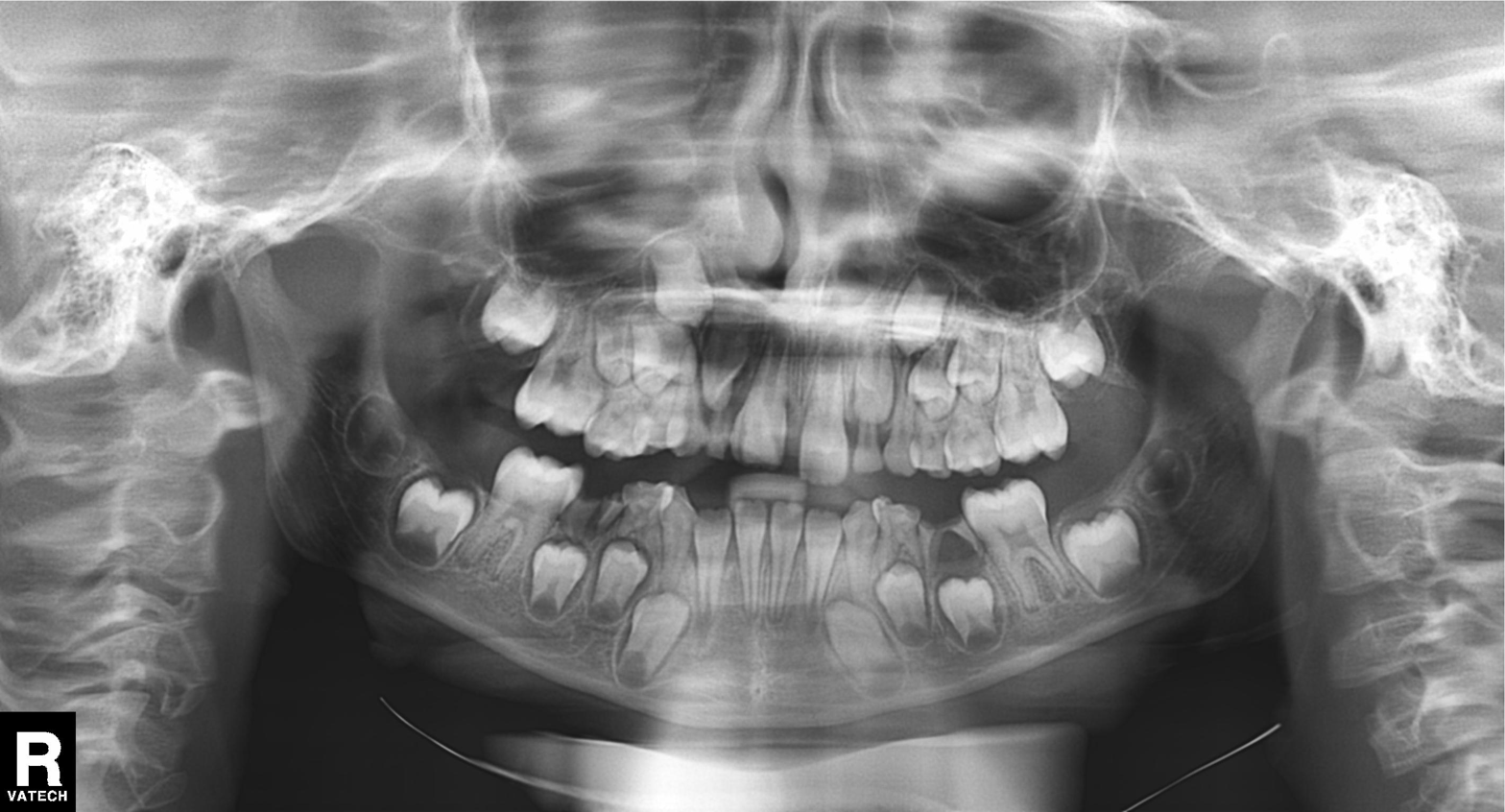
Panoramic dental radiograph (orthopantomogram). Finding: alveolar bone loss.